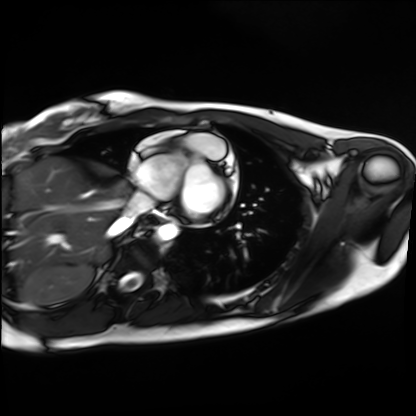
Cardiac MRI. Subject group: healthy volunteer.